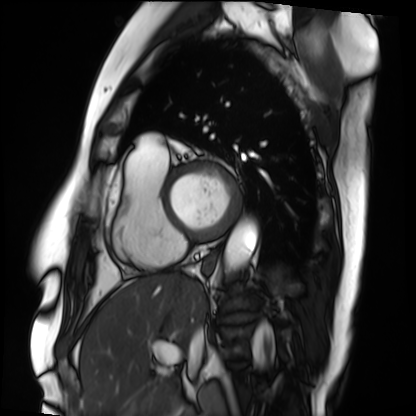
Q: What kind of scan is this?
A: Cardiac MRI.
Subject group: patient.